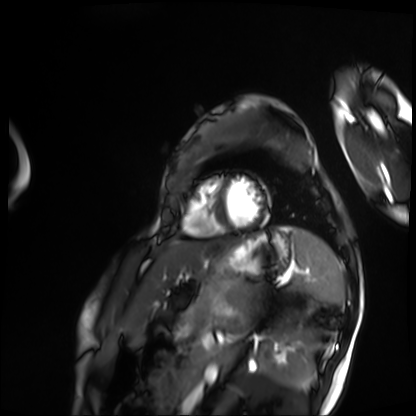
- modality — cardiac MRI
- subject group — patient